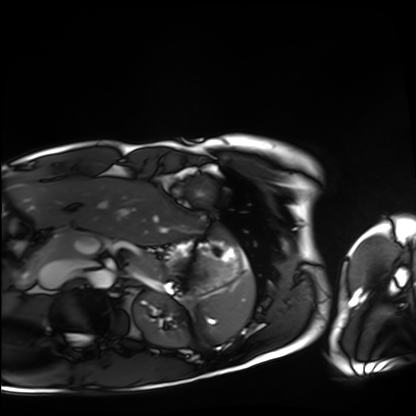
Cardiac MRI.
Subject group: healthy volunteer.